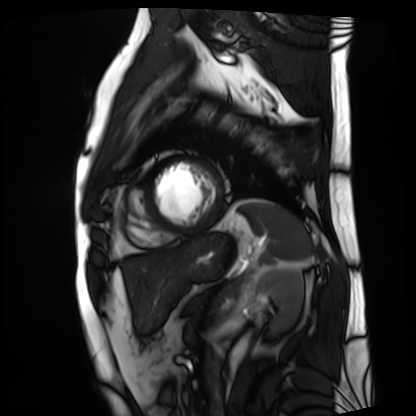
modality: cardiac MRI
subject group: patient